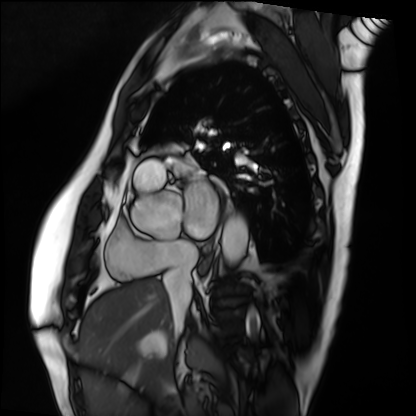
Cardiac MRI. Subject group: patient.